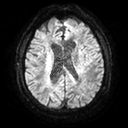
3 Tesla brain MRI. Series: diffusion tensor imaging (medium iso). Study: ring-enhancing brain masses.